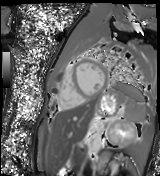
Summary:
Cardiac MR image of the myocardium. Subject cohort: healthy volunteer.